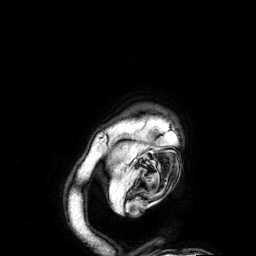
modality — 3 Tesla brain MRI
series — 3D T1-weighted
study — ring-enhancing brain masses